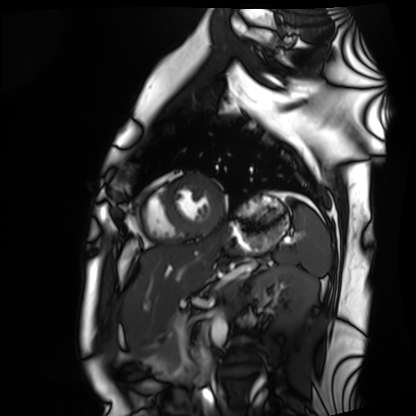
| field | value |
|---|---|
| modality | cardiac MRI |
| subject group | healthy volunteer |